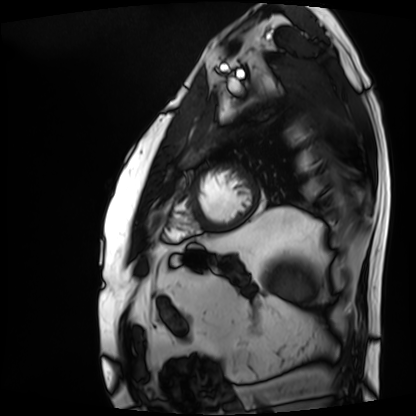
Q: What kind of scan is this?
A: Cardiac MRI.
Subject group: patient.